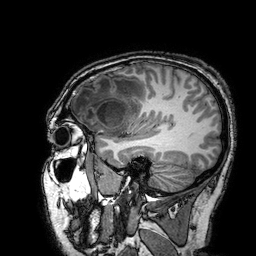
Case summary:
3 Tesla brain MRI. Series: 3D T1-weighted turbo field echo with SENSE. Study: ring-enhancing brain masses.